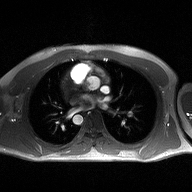
2D phase-contrast cine MRI of the ascending aorta, high-resolution GRAPPA acquisition.